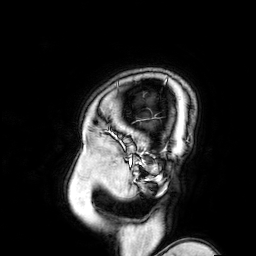
modality — 3 Tesla brain MRI
study — ring-enhancing brain masses